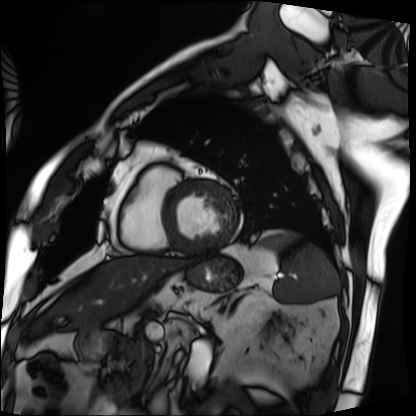
Q: What kind of scan is this?
A: Cardiac MRI.
Subject group: patient.